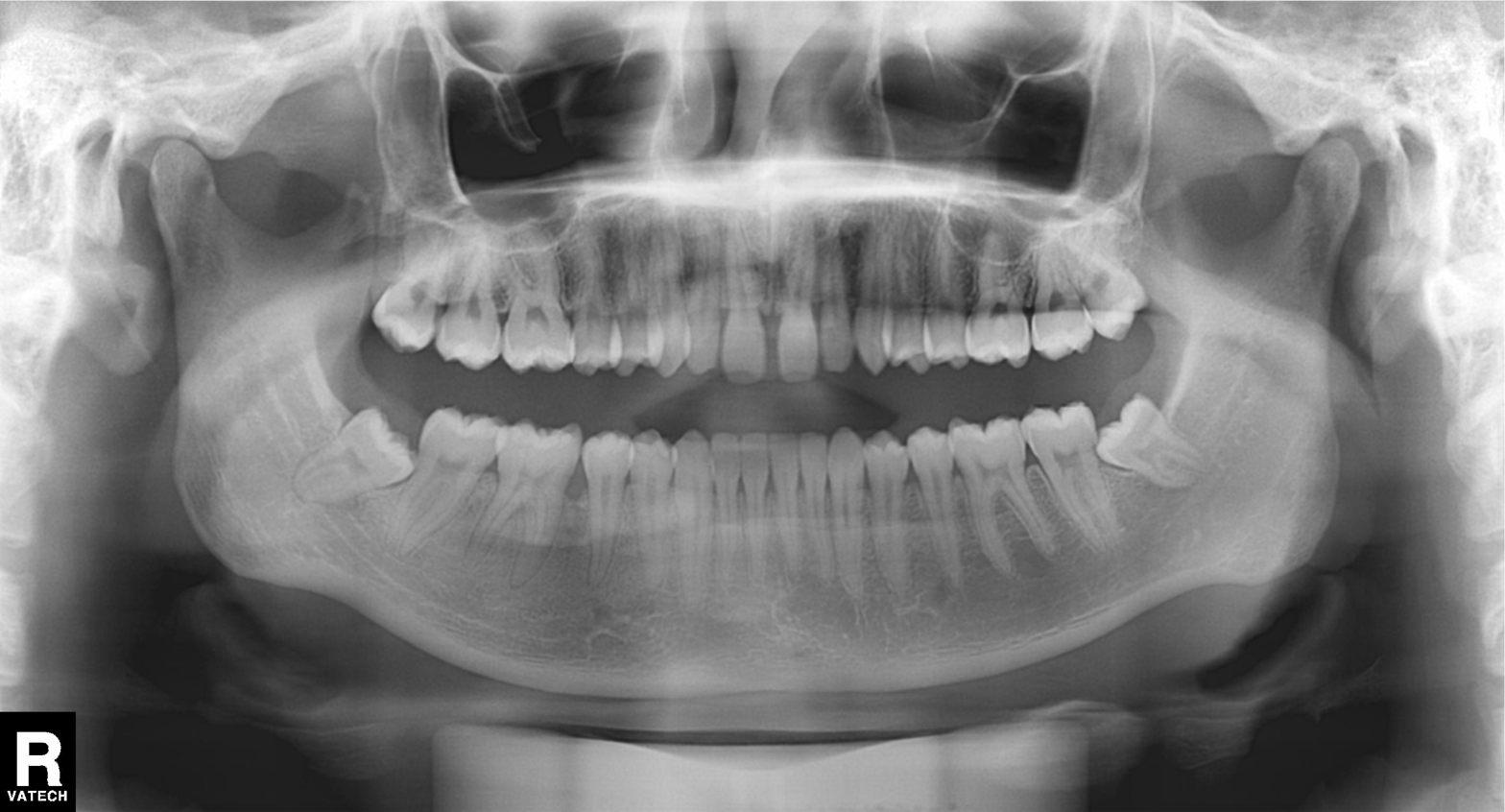
Case:
* modality — panoramic dental radiograph (orthopantomogram)
* finding — alveolar bone loss